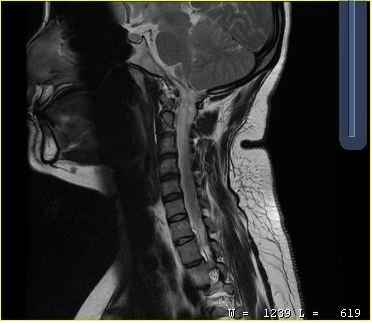
Summary: MRI of the cervical spine. Study: cervical spondylosis.